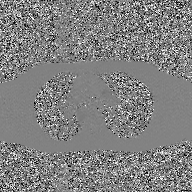
2D phase-contrast cine MRI of the ascending aorta, GAN super-resolution reconstruction.